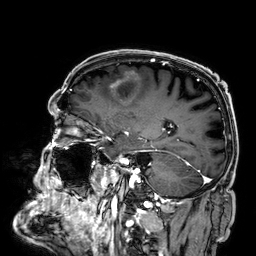
Case summary: 3 Tesla brain MRI. Series: 3D T1-weighted. Study: ring-enhancing brain masses.